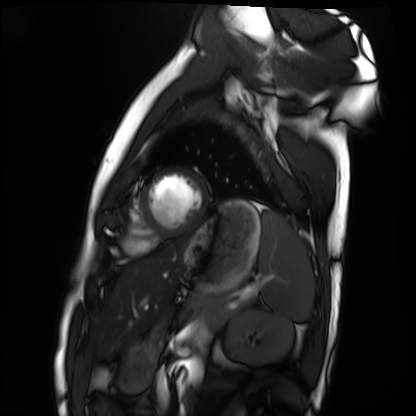
modality — cardiac MRI
subject group — healthy volunteer